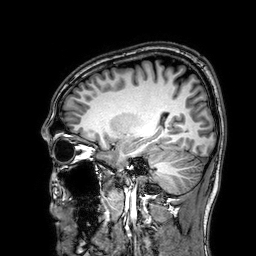
{
  "modality": {
    "type": "brain MRI",
    "field_strength": "3T"
  },
  "series": "3D T1-weighted",
  "study_topic": "ring-enhancing brain masses"
}